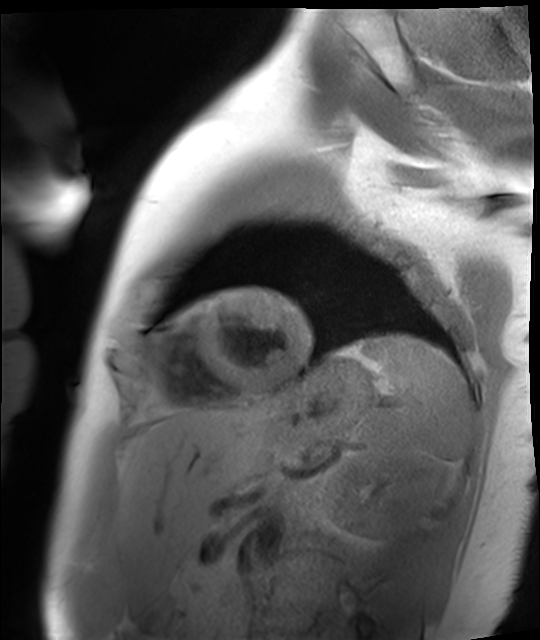
Cardiac MR image of the myocardium. Subject cohort: healthy volunteer.